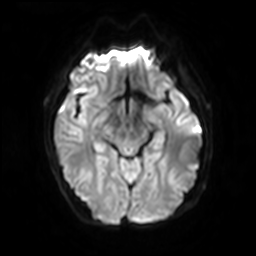
3 Tesla brain MRI.
Series: diffusion-weighted imaging with SENSE (WIP).
Study: ring-enhancing brain masses.